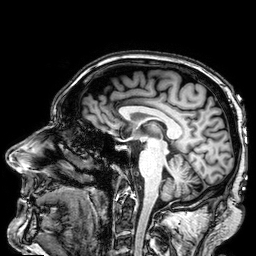
Q: What kind of scan is this?
A: 3 Tesla brain MRI.
Q: Series?
A: 3D T1-weighted.
Study: ring-enhancing brain masses.